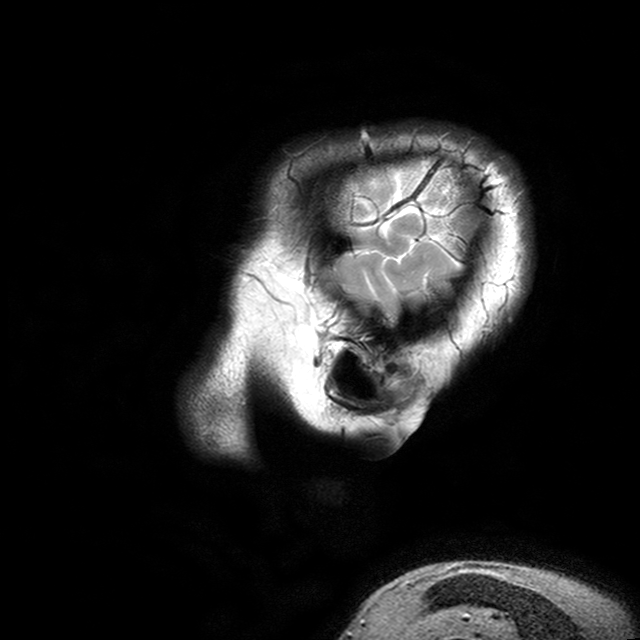
3 Tesla brain MRI.
Series: T2-weighted turbo spin echo with CLEAR.
Study: ring-enhancing brain masses.